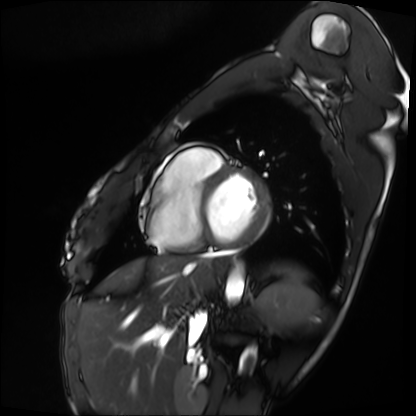
Cardiac MRI. Subject group: patient.